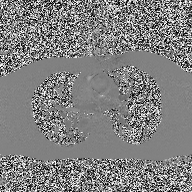
Summary:
2D phase-contrast cine MRI of the ascending aorta, high-resolution GRAPPA acquisition.